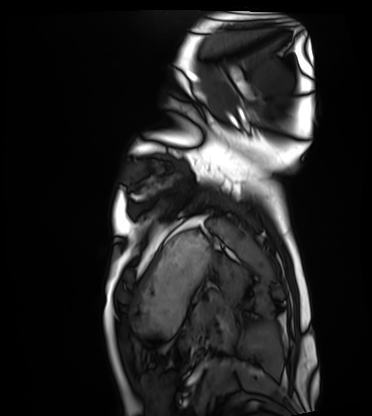
{
  "modality": "cardiac MRI",
  "cohort": "healthy volunteer"
}